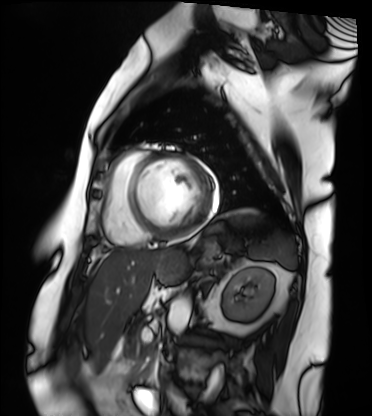
Cardiac MRI.
Subject group: patient.